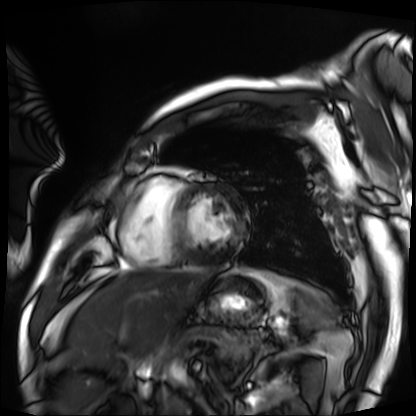
Case summary: Cardiac MRI. Subject group: patient.